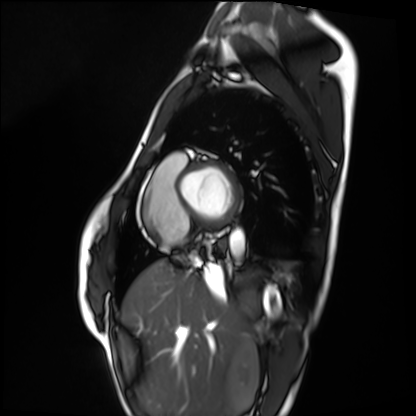
Cardiac MRI.
Subject group: healthy volunteer.